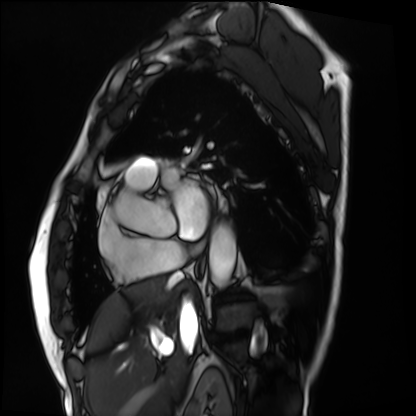
Cardiac MRI.
Subject group: patient.